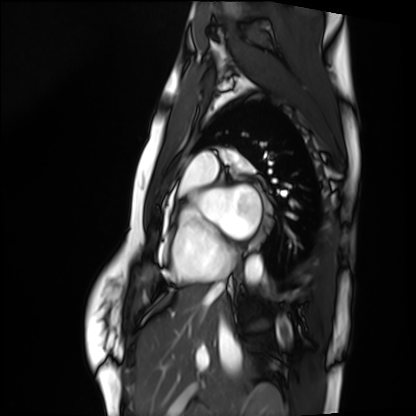
Case:
* modality: cardiac MRI
* subject group: healthy volunteer